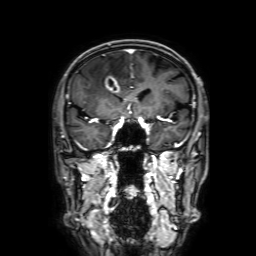
3 Tesla brain MRI. Study: ring-enhancing brain masses.